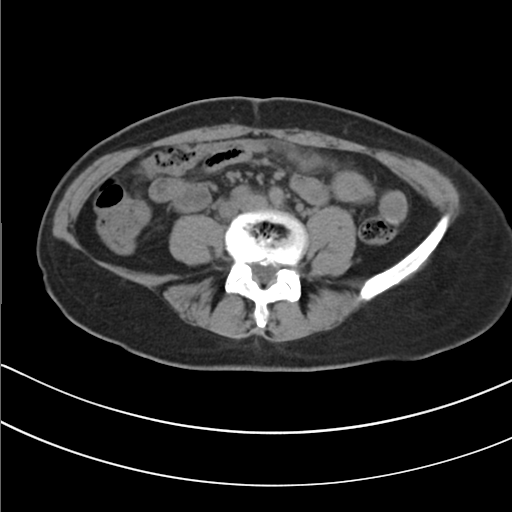
modality: multiphase abdominal CT, liver, non-contrast phase
patient: female, age 49